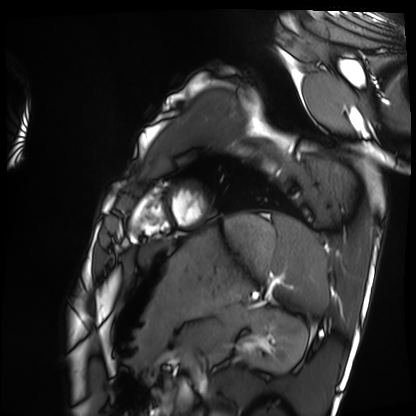
{"modality": "cardiac MRI", "cohort": "healthy volunteer"}